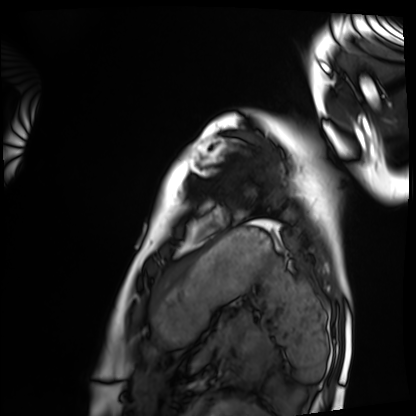
Cardiac MRI. Subject group: healthy volunteer.